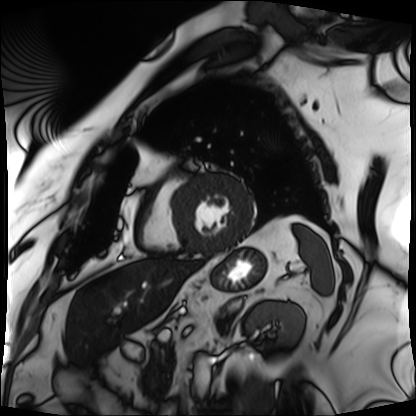
Q: What kind of scan is this?
A: Cardiac MRI.
Subject group: patient.